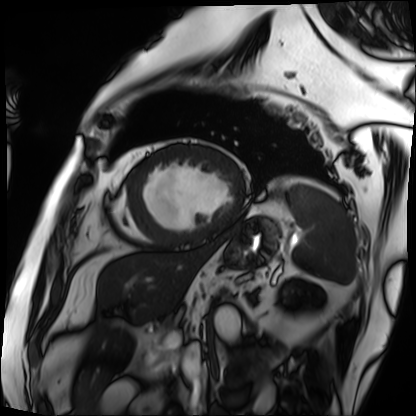
Case summary: Cardiac MRI. Subject group: patient.